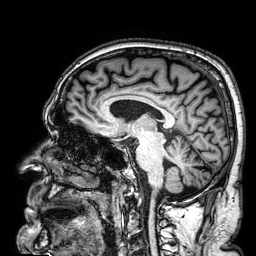
Summary: 3 Tesla brain MRI. Series: 3D T1-weighted. Study: ring-enhancing brain masses.